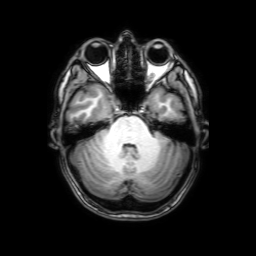
| field | value |
|---|---|
| modality | 3 Tesla brain MRI |
| series | 3D T1-weighted with SENSE |
| study | ring-enhancing brain masses |